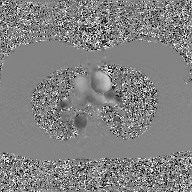
2D phase-contrast cine MRI of the ascending aorta, GAN super-resolution reconstruction.